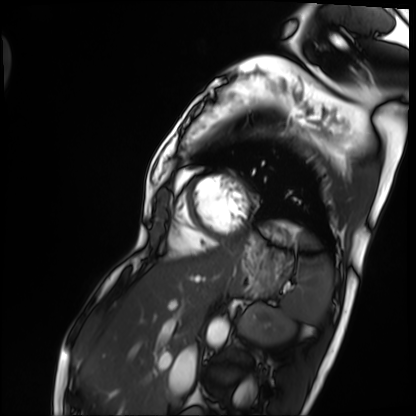
Summary:
Cardiac MRI. Subject group: patient.